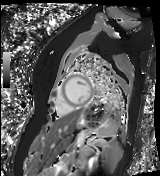
Cardiac MR image of the myocardium.
Subject cohort: healthy volunteer.